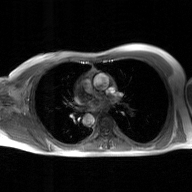
modality: 2D phase-contrast cine MRI of the ascending aorta, GAN super-resolution reconstruction.